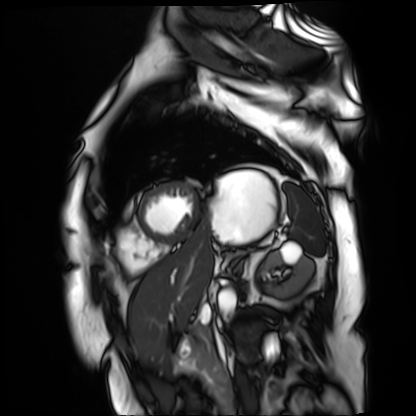
Case:
* modality — cardiac MR image of the myocardium
* subject cohort — cardiac patient